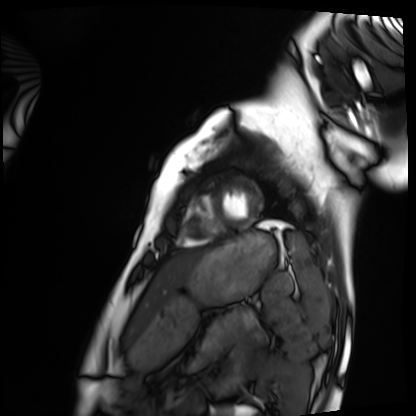
modality — cardiac MRI | subject group — healthy volunteer.